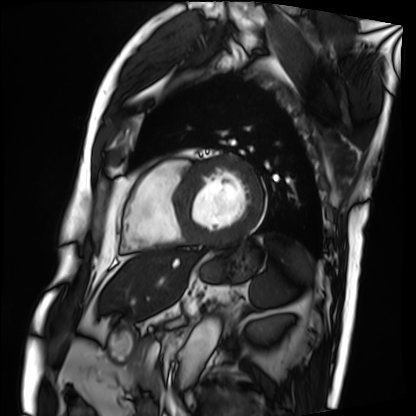
Cardiac MRI.
Subject group: patient.